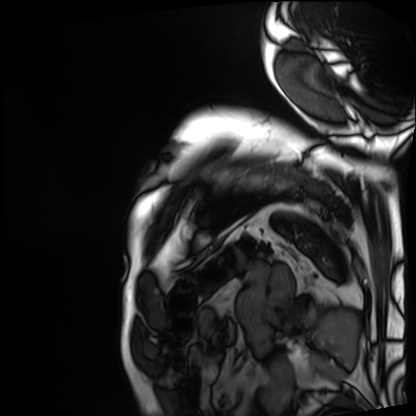
- modality: cardiac MRI
- subject group: patient